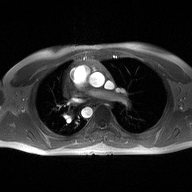
Q: What kind of scan is this?
A: 2D phase-contrast cine MRI of the ascending aorta.